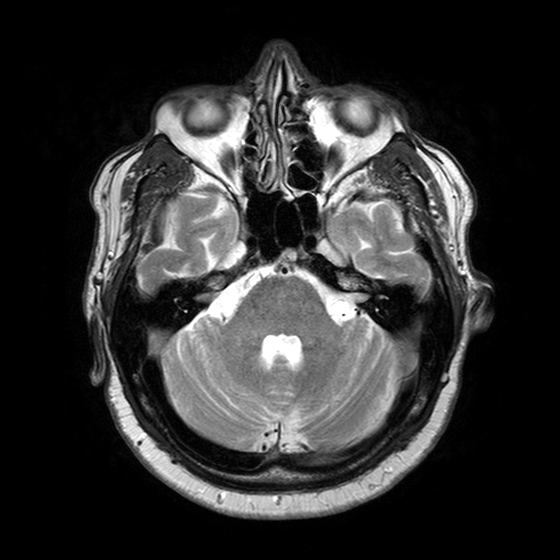
modality=3 Tesla brain MRI | series=T2-weighted turbo spin echo with SENSE | study=ring-enhancing brain masses.